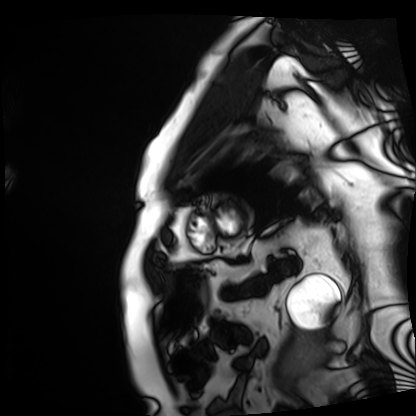
Q: What kind of scan is this?
A: Cardiac MRI.
Subject group: patient.